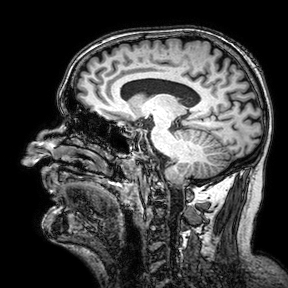
3 Tesla brain MRI. Series: 3D T1-weighted turbo field echo with SENSE. Study: ring-enhancing brain masses.